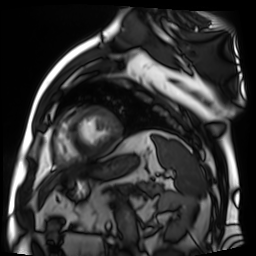
- modality · cardiac MR image of the myocardium
- subject cohort · cardiac patient